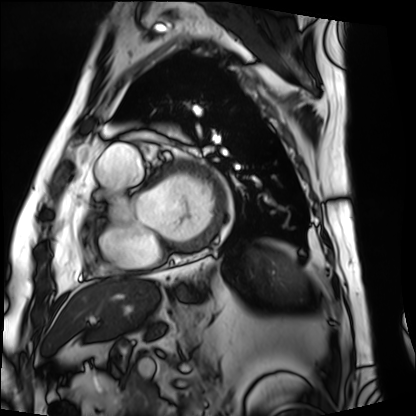
modality = cardiac MRI, subject group = patient.